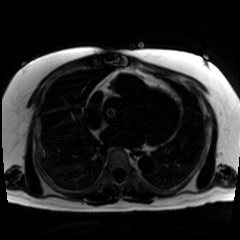
| field | value |
|---|---|
| modality | chemical-shift-encoded cardiac MRI |